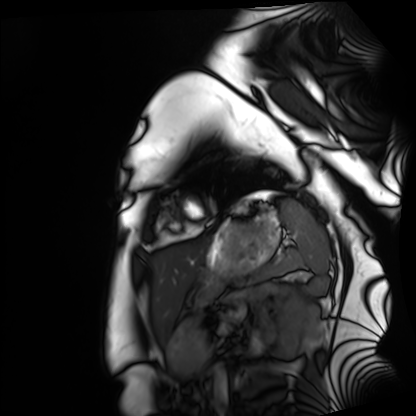
Cardiac MRI.
Subject group: healthy volunteer.